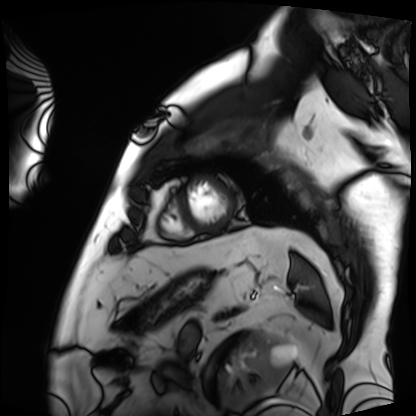
modality = cardiac MRI, subject group = patient.